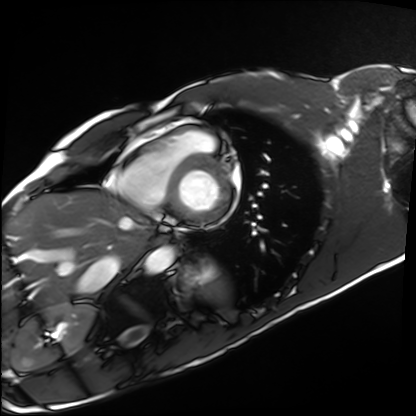
modality = cardiac MRI | subject group = healthy volunteer.